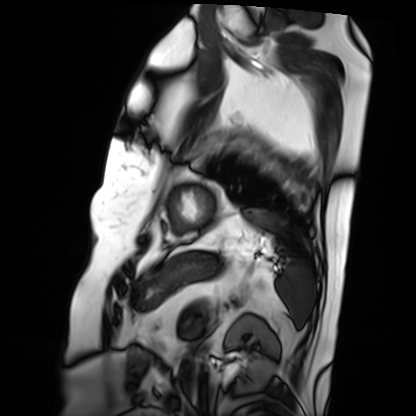
Case summary: Cardiac MRI. Subject group: patient.